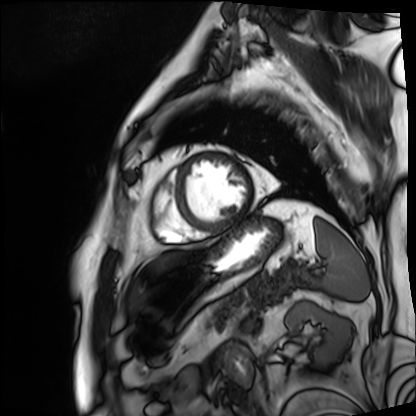
modality — cardiac MRI; subject group — patient.